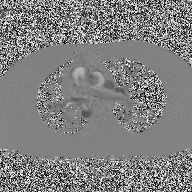
2D phase-contrast cine MRI of the ascending aorta, high-resolution GRAPPA acquisition.